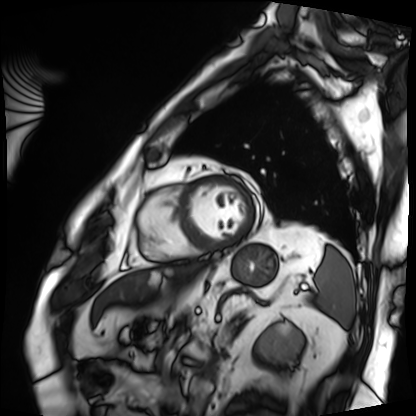
* modality · cardiac MRI
* subject group · patient